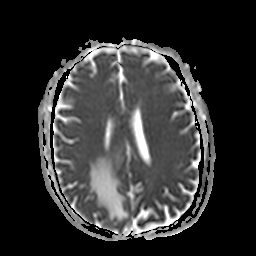
3 Tesla brain MRI. Series: apparent diffusion coefficient (ADC) map. Study: ring-enhancing brain masses.